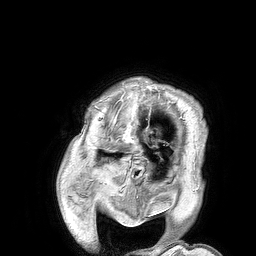
Clinical context: 3 Tesla brain MRI. Series: 3D T1-weighted turbo field echo. Study: ring-enhancing brain masses.